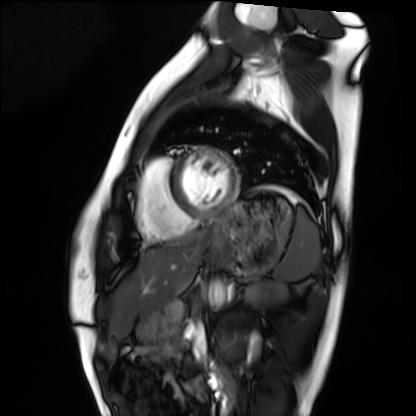
Summary:
Cardiac MRI. Subject group: healthy volunteer.